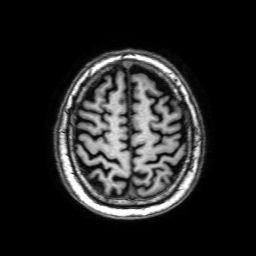
modality = 3 Tesla brain MRI
series = 3D T1-weighted with SENSE
study = ring-enhancing brain masses